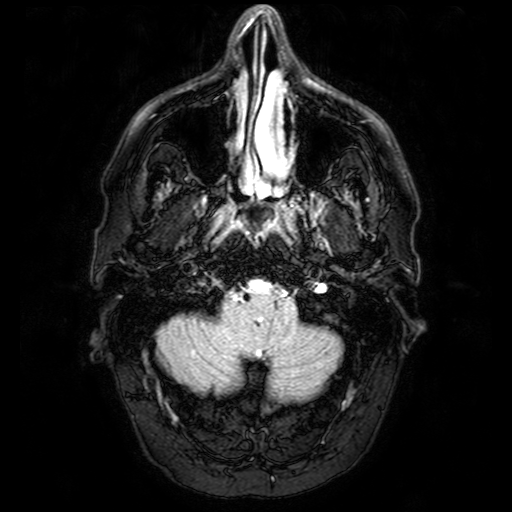
modality: 3 Tesla brain MRI
series: FLAIR with SPAIR
study: ring-enhancing brain masses